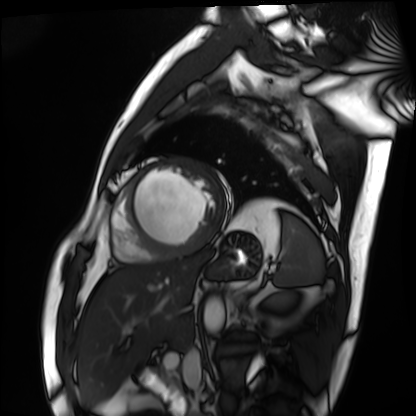
Cardiac MRI.
Subject group: patient.